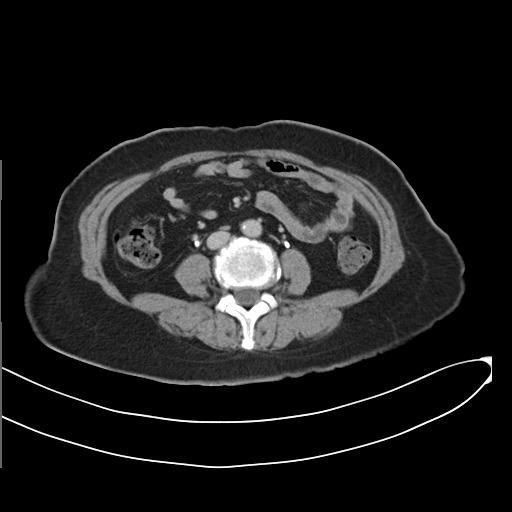
Q: What kind of scan is this?
A: Multiphase abdominal CT, liver, delayed phase.
Q: Patient?
A: Female, age 55.